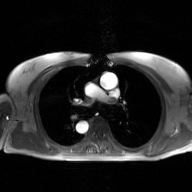
Q: What kind of scan is this?
A: 2D phase-contrast cine MRI of the ascending aorta, GAN super-resolution reconstruction.